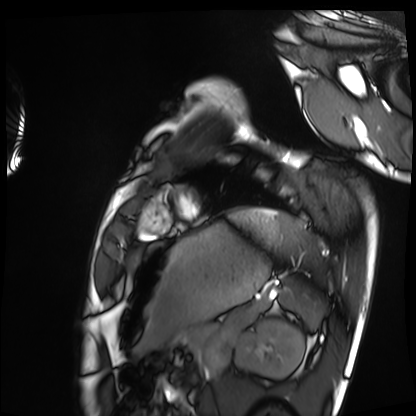
Cardiac MRI. Subject group: healthy volunteer.